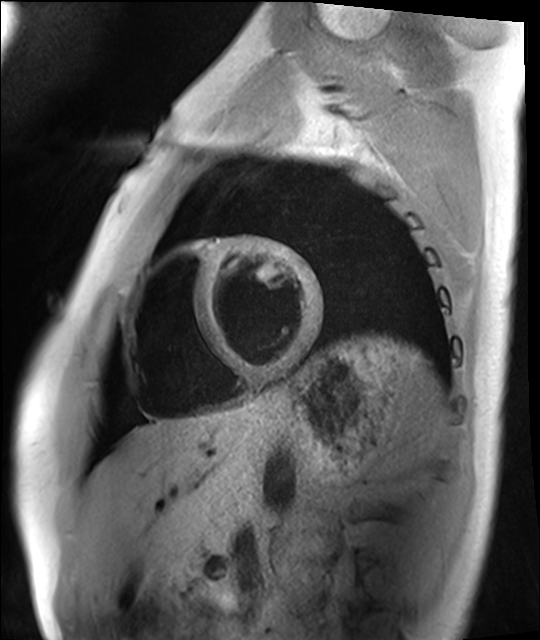
  modality: cardiac MRI
  cohort: healthy volunteer